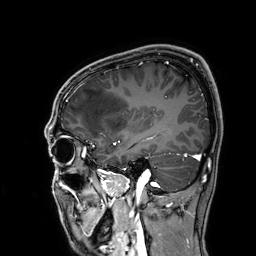
3 Tesla brain MRI.
Series: 3D T1-weighted.
Study: ring-enhancing brain masses.